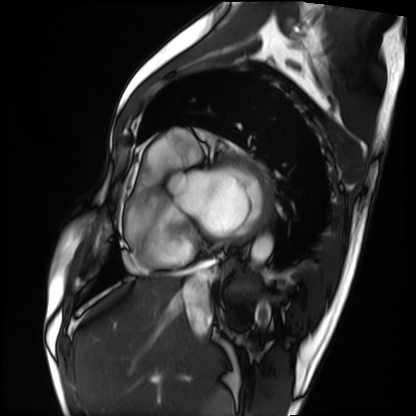
- modality · cardiac MRI
- subject group · patient